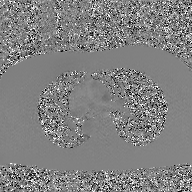
Q: What kind of scan is this?
A: 2D phase-contrast cine MRI of the ascending aorta, GAN super-resolution reconstruction.